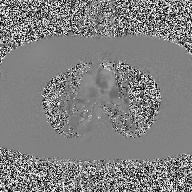
2D phase-contrast cine MRI of the ascending aorta, high-resolution GRAPPA acquisition.